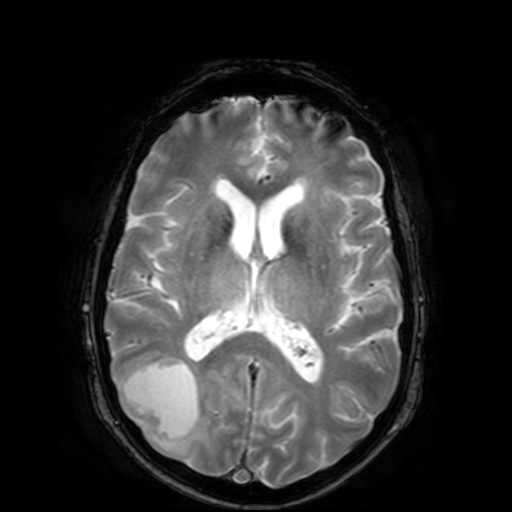
Case summary: 3 Tesla brain MRI. Series: T2-weighted fast field echo. Study: ring-enhancing brain masses.